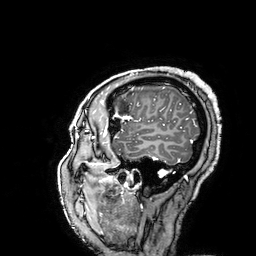
3 Tesla brain MRI.
Study: ring-enhancing brain masses.